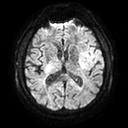
modality: 3 Tesla brain MRI; series: diffusion tensor imaging (medium iso); study: ring-enhancing brain masses.